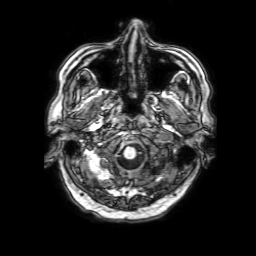
| field | value |
|---|---|
| modality | 3 Tesla brain MRI |
| series | 3D T1-weighted with SENSE |
| study | ring-enhancing brain masses |